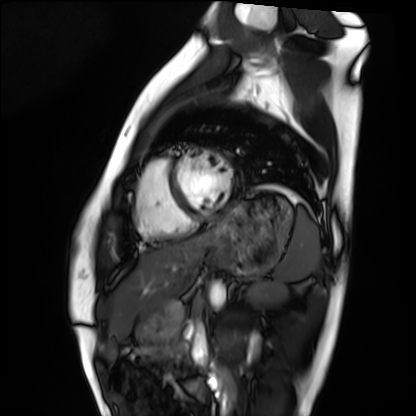
  modality: cardiac MRI
  cohort: healthy volunteer